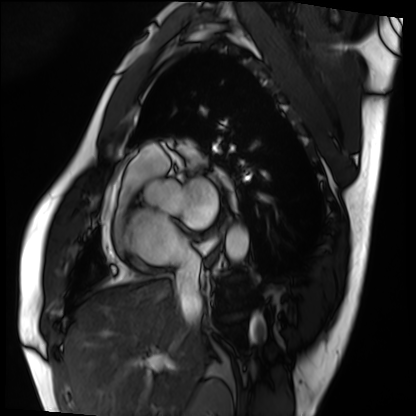
Cardiac MRI. Subject group: patient.